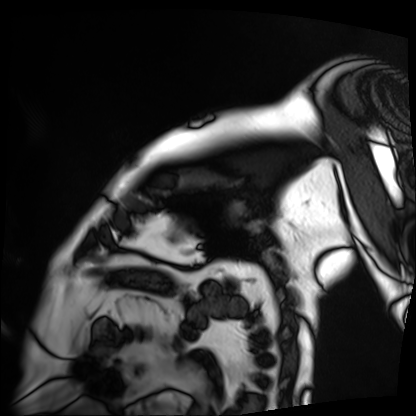
modality: cardiac MRI; subject group: patient.